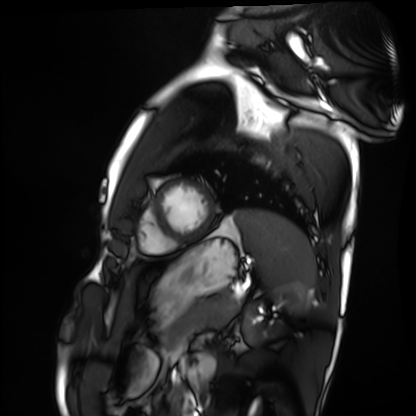
modality = cardiac MRI
subject group = healthy volunteer